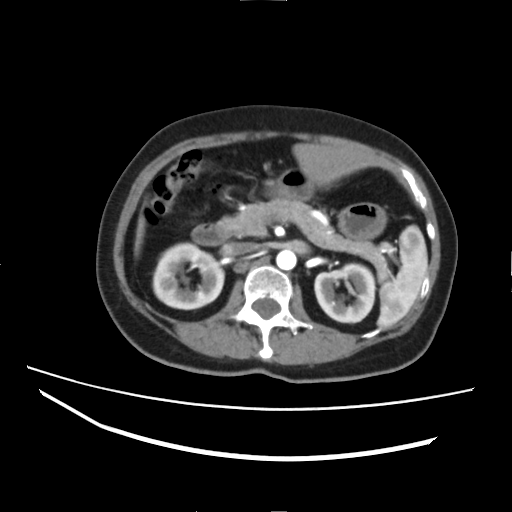
Summary:
Multiphase abdominal CT, liver, arterial phase. Patient: female, age 60.